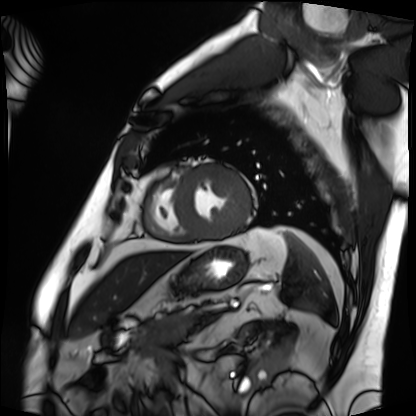
– modality · cardiac MRI
– subject group · patient